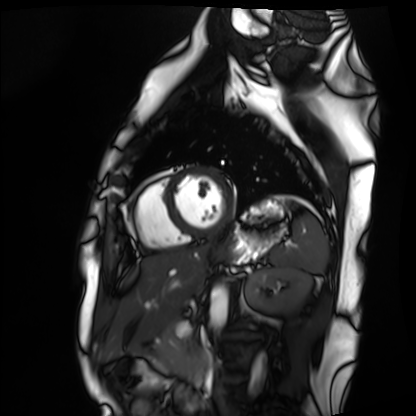
  modality: cardiac MRI
  cohort: healthy volunteer